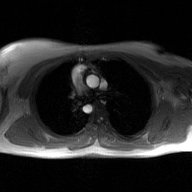
• modality — 2D phase-contrast cine MRI of the ascending aorta, GAN super-resolution reconstruction